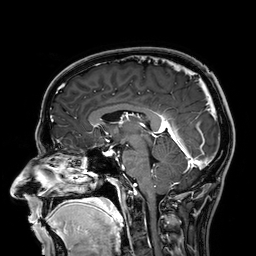
| field | value |
|---|---|
| modality | 3 Tesla brain MRI |
| series | 3D T1-weighted |
| study | ring-enhancing brain masses |